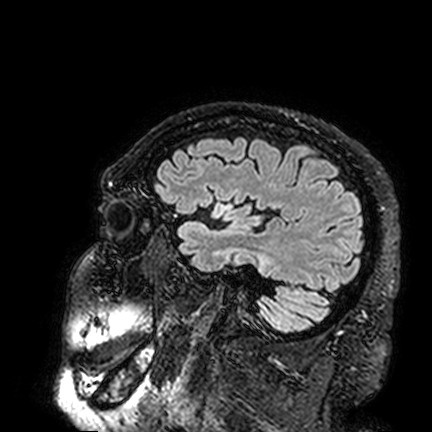
3 Tesla brain MRI.
Series: FLAIR VISTA.
Study: ring-enhancing brain masses.